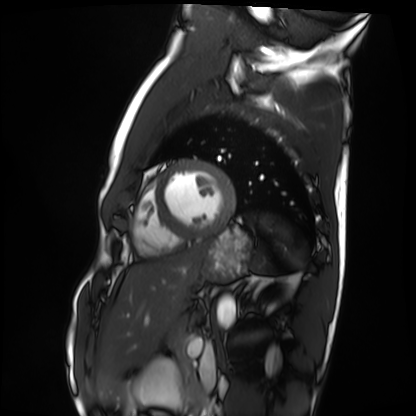
Summary: Cardiac MRI. Subject group: healthy volunteer.